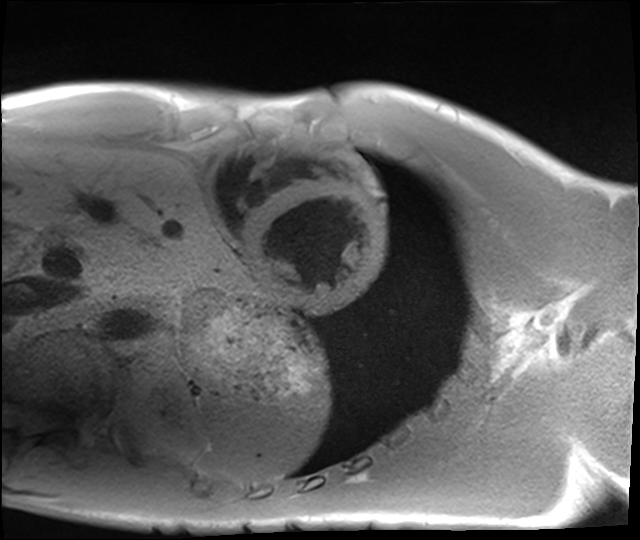
Q: What kind of scan is this?
A: Cardiac MRI.
Subject group: healthy volunteer.